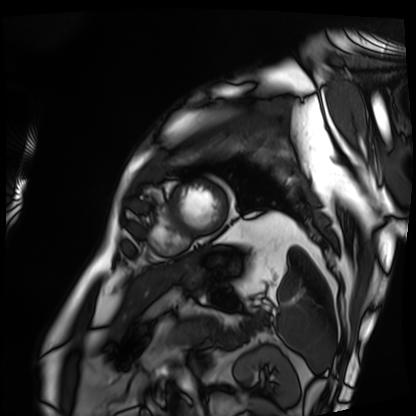
Clinical context:
Cardiac MRI. Subject group: patient.